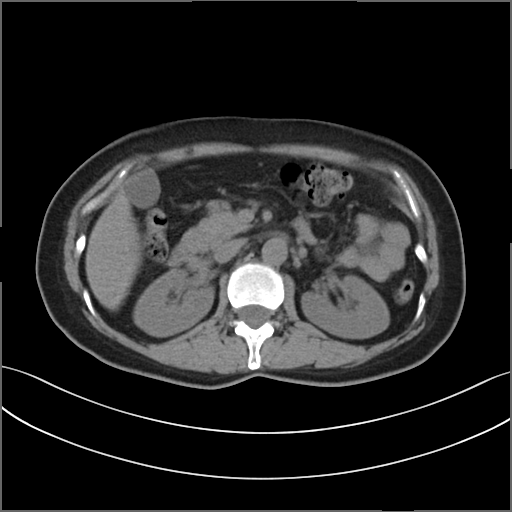
Q: What kind of scan is this?
A: Multiphase abdominal CT, liver, non-contrast phase.
Q: Patient?
A: Female, age 53.
Q: History?
A: Prior chemotherapy.